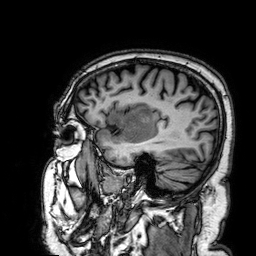
3 Tesla brain MRI. Series: 3D T1-weighted. Study: ring-enhancing brain masses.